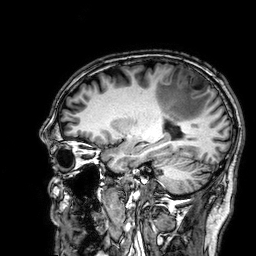
Q: What kind of scan is this?
A: 3 Tesla brain MRI.
Q: Series?
A: 3D T1-weighted.
Study: ring-enhancing brain masses.